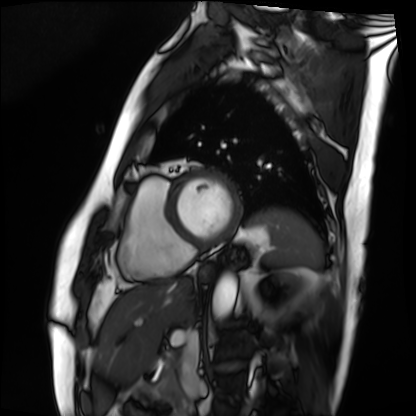
Cardiac MRI.
Subject group: patient.